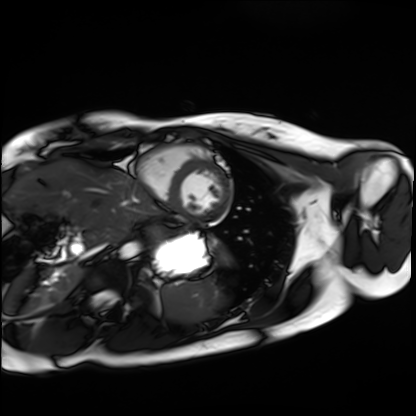
Cardiac MRI.
Subject group: healthy volunteer.